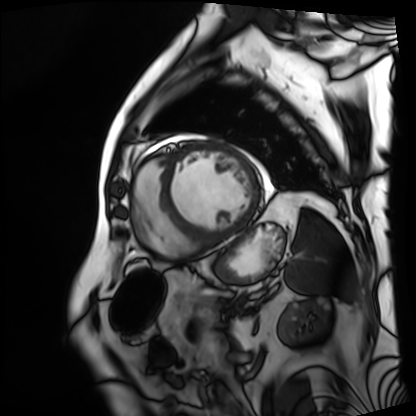
Summary:
Cardiac MRI. Subject group: patient.